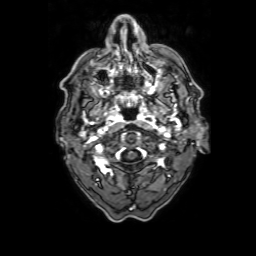
3 Tesla brain MRI.
Series: 3D T1-weighted with SENSE.
Study: ring-enhancing brain masses.